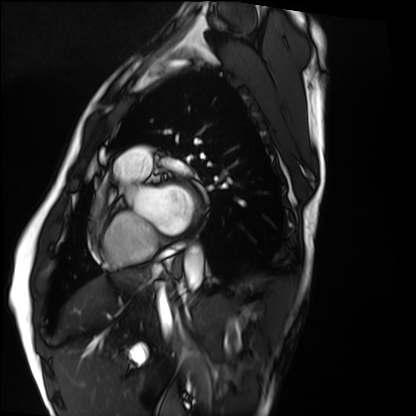
Cardiac MRI. Subject group: healthy volunteer.